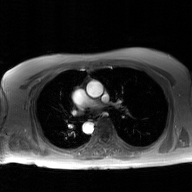
• modality · 2D phase-contrast cine MRI of the ascending aorta, GAN super-resolution reconstruction